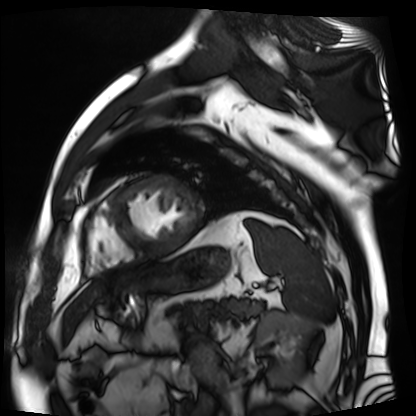
<record>
<modality>cardiac MR image of the myocardium</modality>
<cohort>cardiac patient</cohort>
</record>